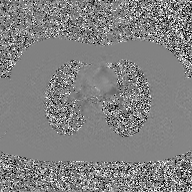
- modality: 2D phase-contrast cine MRI of the ascending aorta, GAN super-resolution reconstruction